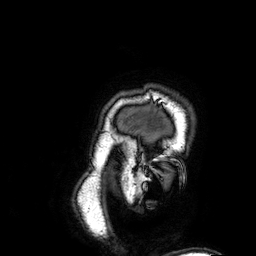
3 Tesla brain MRI. Series: 3D T1-weighted. Study: ring-enhancing brain masses.